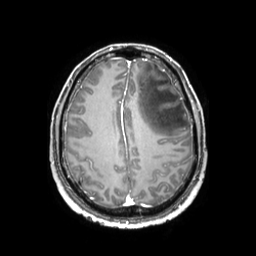
Q: What kind of scan is this?
A: 3 Tesla brain MRI.
Study: ring-enhancing brain masses.